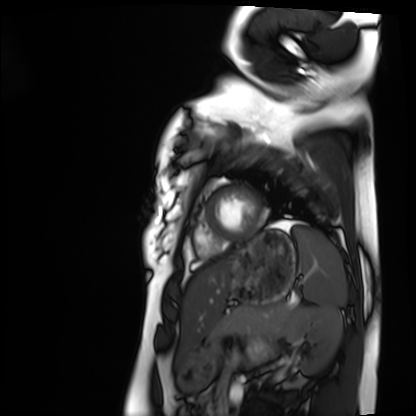
– modality: cardiac MRI
– subject group: healthy volunteer